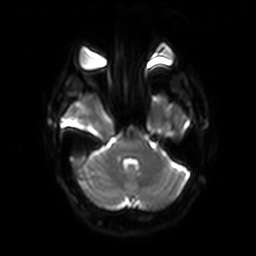
  modality:
    type: brain MRI
    field_strength: 3T
  series: diffusion-weighted imaging with SENSE (WIP)
  study_topic: ring-enhancing brain masses